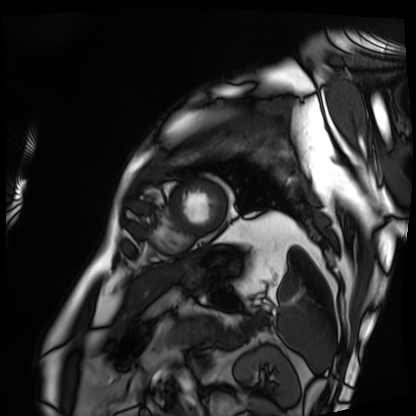
Summary:
Cardiac MRI. Subject group: patient.